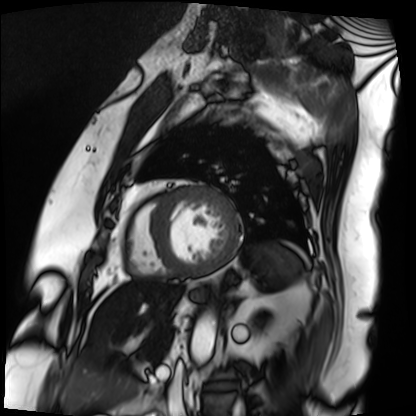
Clinical context:
Cardiac MRI. Subject group: patient.